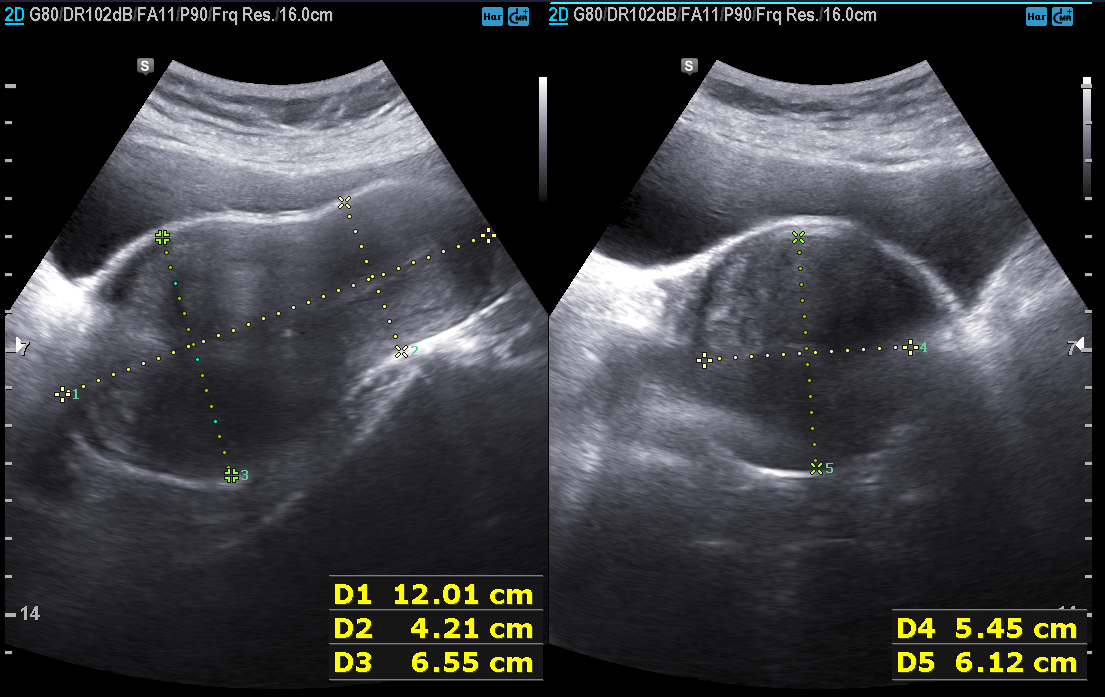
  modality:
    type: genitourinary ultrasound